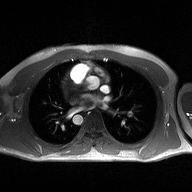
2D phase-contrast cine MRI of the ascending aorta, high-resolution GRAPPA acquisition.